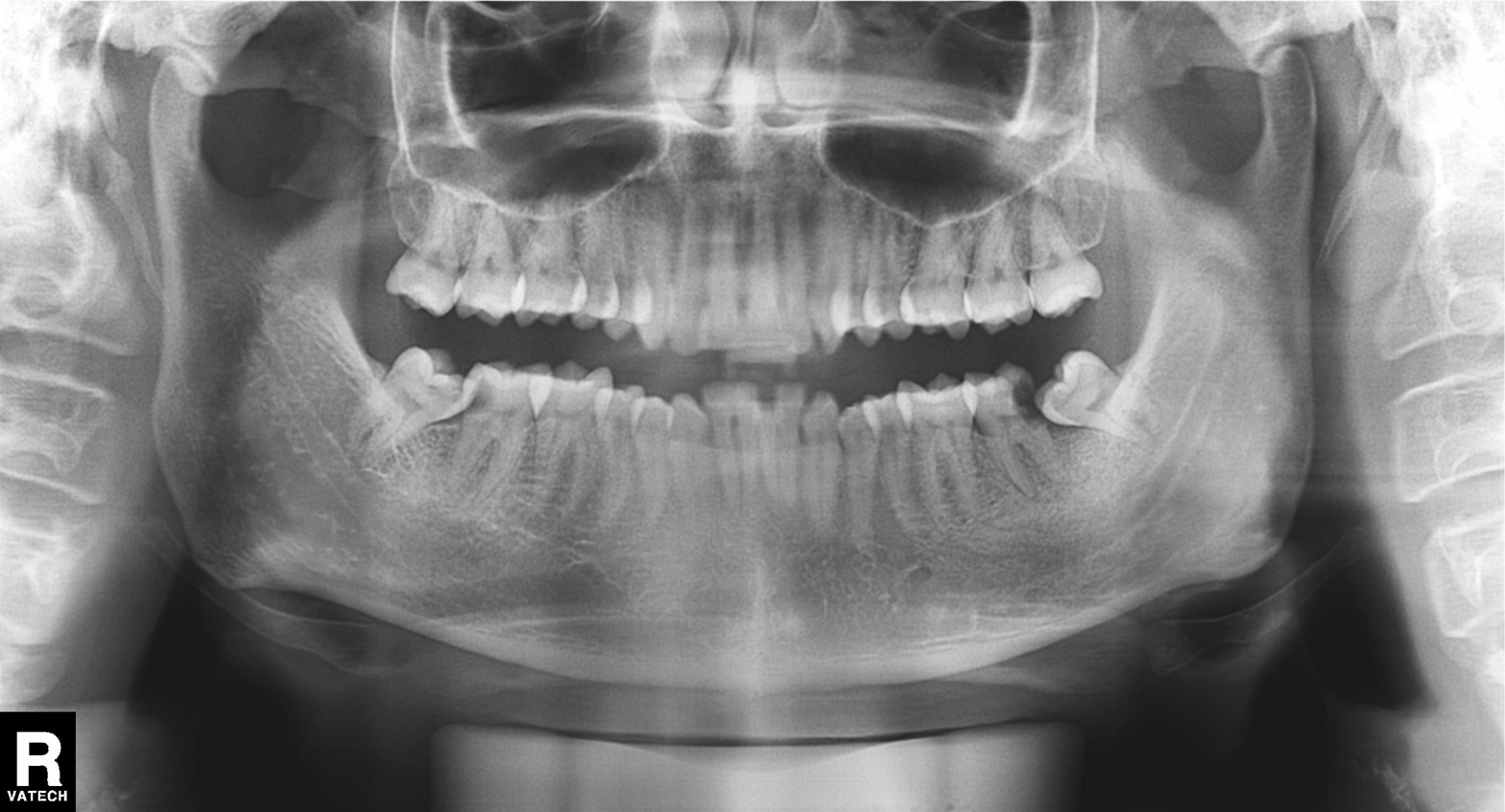
Case summary:
Panoramic dental radiograph (orthopantomogram).
Conclusion:
Dental caries (cavities).